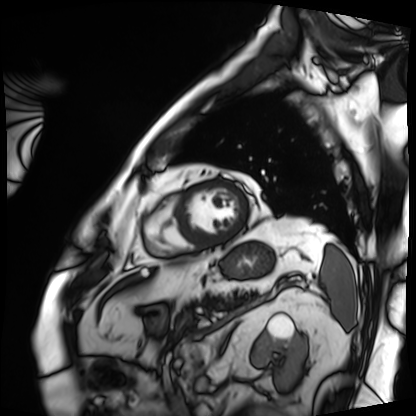
Cardiac MRI. Subject group: patient.